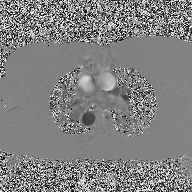
modality: 2D phase-contrast cine MRI of the ascending aorta